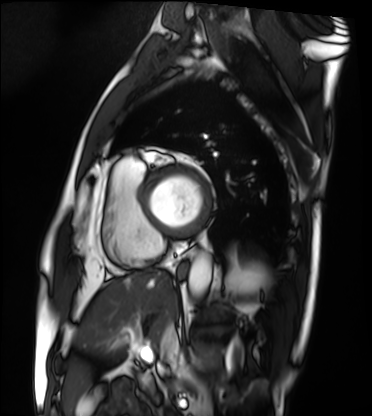
modality: cardiac MRI
subject group: patient